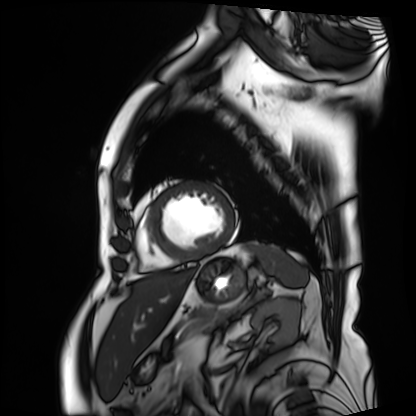
Cardiac MRI. Subject group: patient.